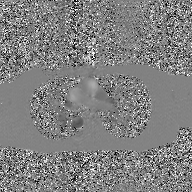
Clinical context: 2D phase-contrast cine MRI of the ascending aorta, GAN super-resolution reconstruction.